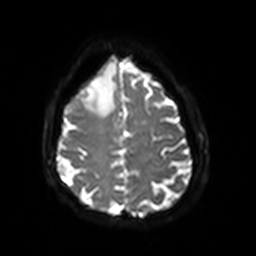
3 Tesla brain MRI. Series: diffusion-weighted imaging with SENSE (WIP). Study: ring-enhancing brain masses.